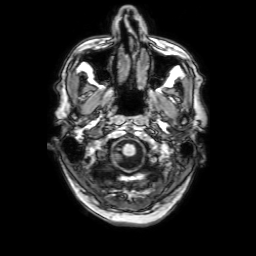
modality: 3 Tesla brain MRI | series: 3D T1-weighted with SENSE | study: ring-enhancing brain masses.